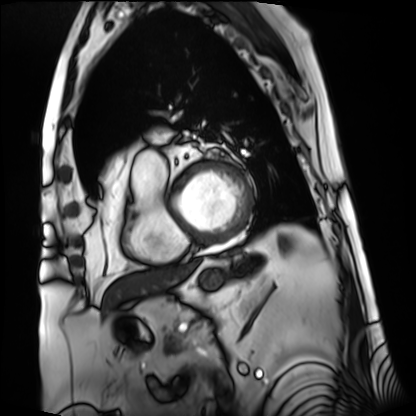
Cardiac MRI. Subject group: patient.